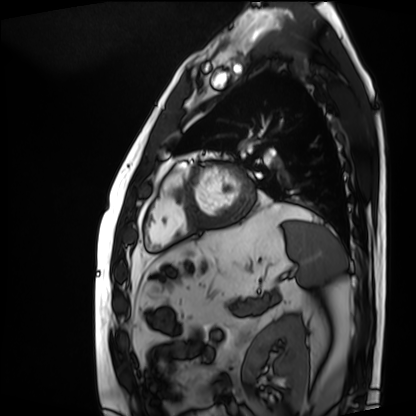
Summary: Cardiac MRI. Subject group: patient.